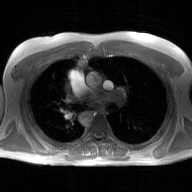
Case:
– modality — 2D phase-contrast cine MRI of the ascending aorta, GAN super-resolution reconstruction